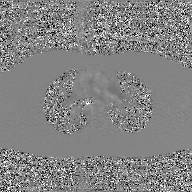
<record>
  <modality>
    <type>2D phase-contrast cine MRI</type>
    <region>ascending aorta</region>
    <reconstruction>GAN super-resolution reconstruction</reconstruction>
  </modality>
</record>